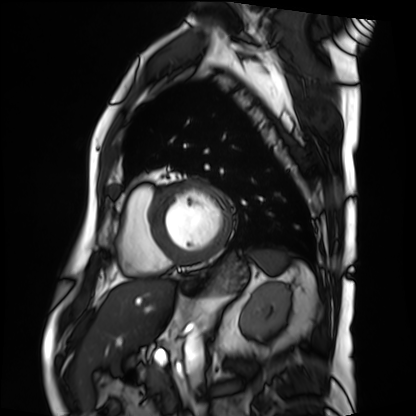
Q: What kind of scan is this?
A: Cardiac MRI.
Subject group: patient.